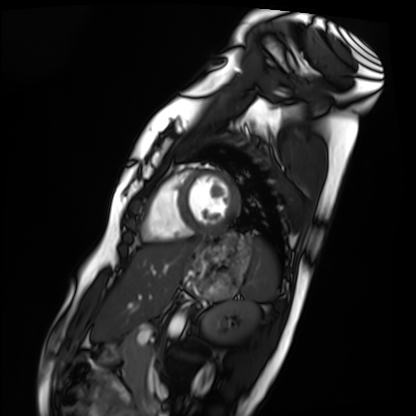
– modality — cardiac MRI
– subject group — healthy volunteer